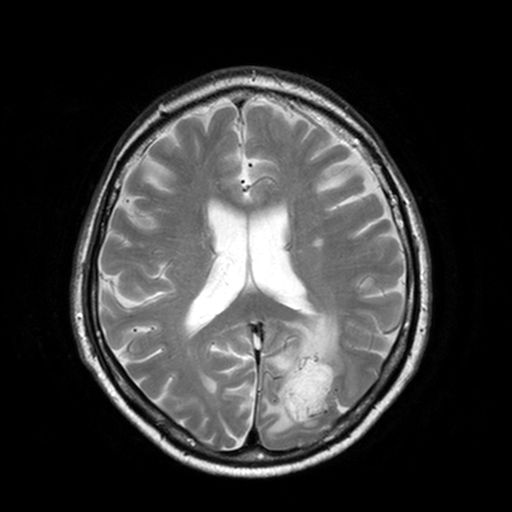
  modality:
    type: brain MRI
    field_strength: 3T
  series: T2-weighted turbo spin echo, 3 mm
  study_topic: ring-enhancing brain masses